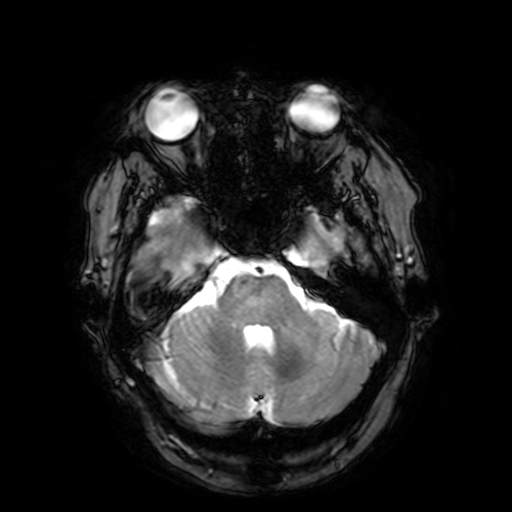
Case:
• modality · 3 Tesla brain MRI
• series · T2-weighted fast field echo with SENSE
• study · ring-enhancing brain masses